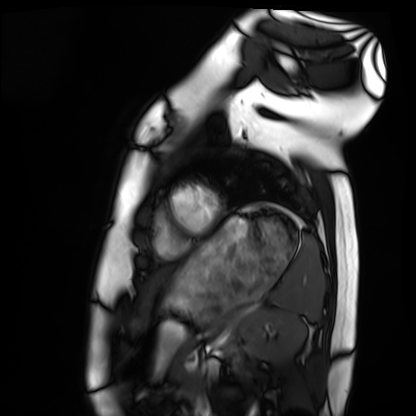
modality: cardiac MRI, subject group: healthy volunteer.